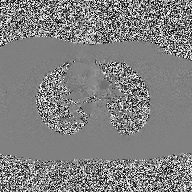
2D phase-contrast cine MRI of the ascending aorta, high-resolution GRAPPA acquisition.